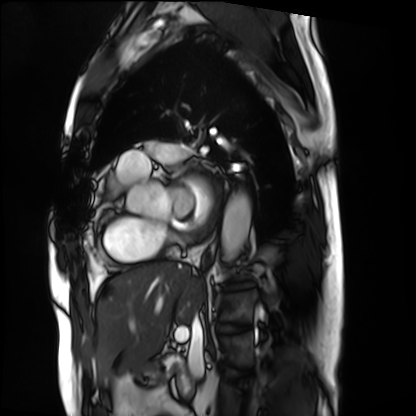
Cardiac MRI.
Subject group: patient.